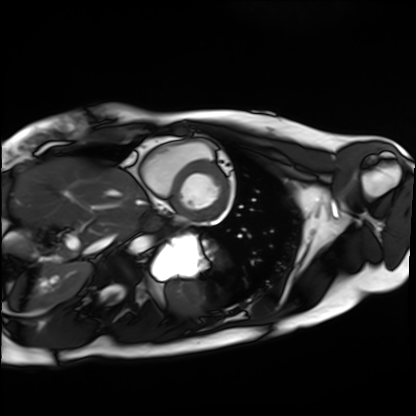
Clinical context:
Cardiac MRI. Subject group: healthy volunteer.